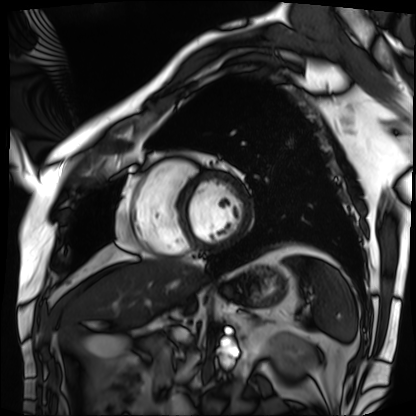
Clinical context:
Cardiac MRI. Subject group: patient.